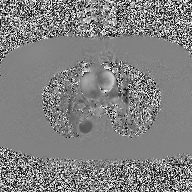
Case summary: 2D phase-contrast cine MRI of the ascending aorta, high-resolution GRAPPA acquisition.